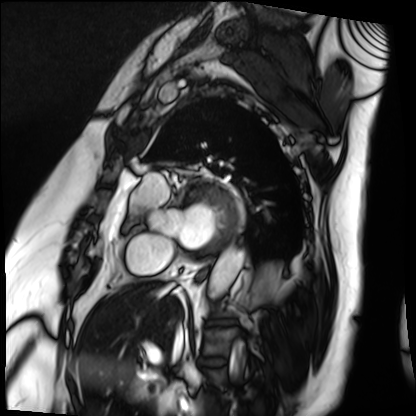
modality = cardiac MRI; subject group = patient.